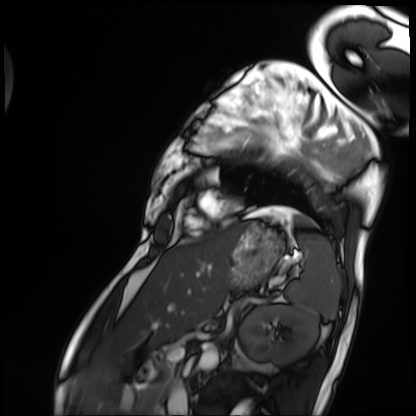
Cardiac MRI.
Subject group: patient.